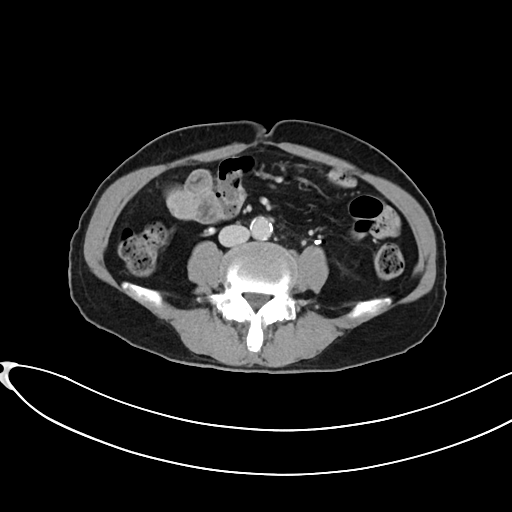
Multiphase abdominal CT, liver, delayed phase.
Patient: female, age 65.